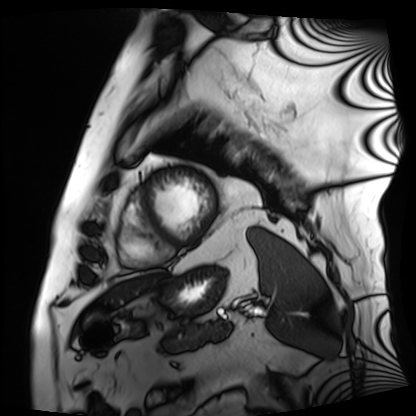
modality = cardiac MRI
subject group = patient